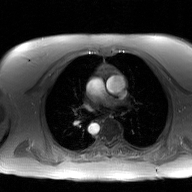
Q: What kind of scan is this?
A: 2D phase-contrast cine MRI of the ascending aorta, GAN super-resolution reconstruction.